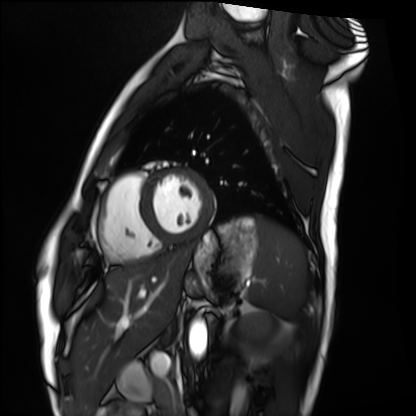
Q: What kind of scan is this?
A: Cardiac MRI.
Subject group: healthy volunteer.